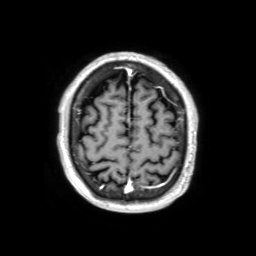
Case summary: 3 Tesla brain MRI. Series: 3D T1-weighted TFE with SENSE. Study: ring-enhancing brain masses.